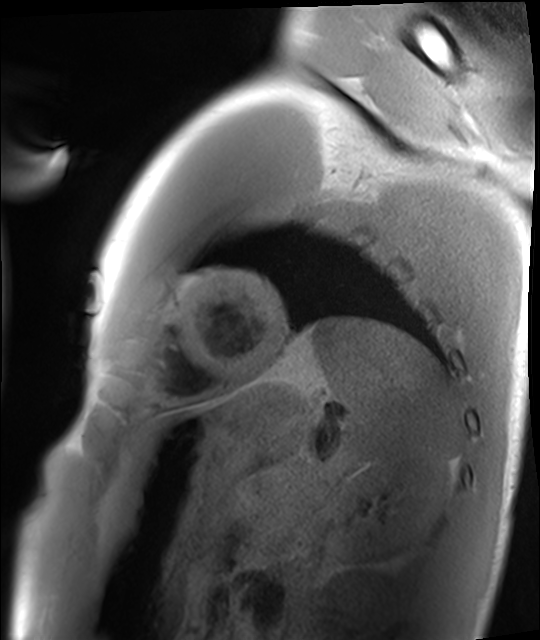
Cardiac MRI. Subject group: healthy volunteer.